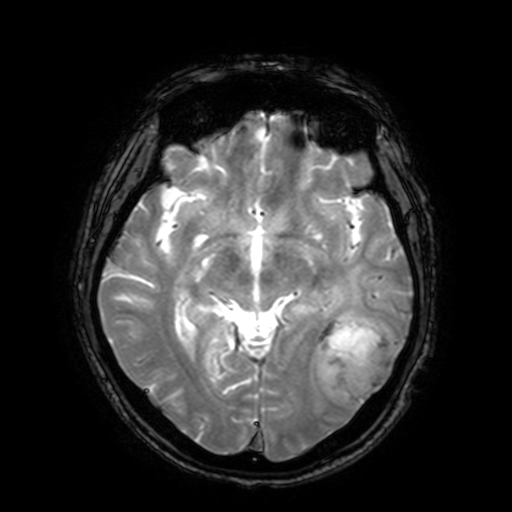
modality:
  type: brain MRI
  field_strength: 3T
series: T2-weighted fast field echo with SENSE
study_topic: ring-enhancing brain masses